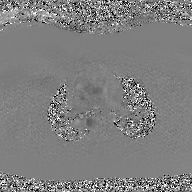
Q: What kind of scan is this?
A: 2D phase-contrast cine MRI of the ascending aorta, GAN super-resolution reconstruction.